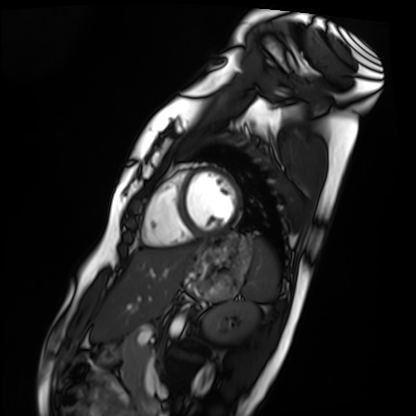
modality — cardiac MRI
subject group — healthy volunteer